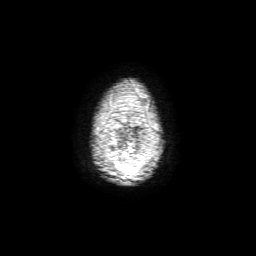
Case:
* modality — 3 Tesla brain MRI
* series — 3D T1-weighted with SENSE
* study — ring-enhancing brain masses